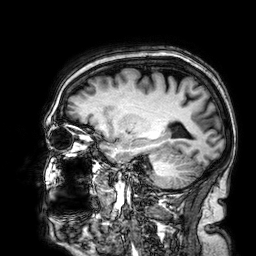
<study>
  <modality>
    <type>brain MRI</type>
    <field_strength>3T</field_strength>
  </modality>
  <series>3D T1-weighted</series>
  <study_topic>ring-enhancing brain masses</study_topic>
</study>